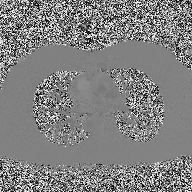
Clinical context: 2D phase-contrast cine MRI of the ascending aorta, high-resolution GRAPPA acquisition.